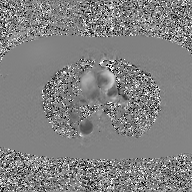
2D phase-contrast cine MRI of the ascending aorta, GAN super-resolution reconstruction.